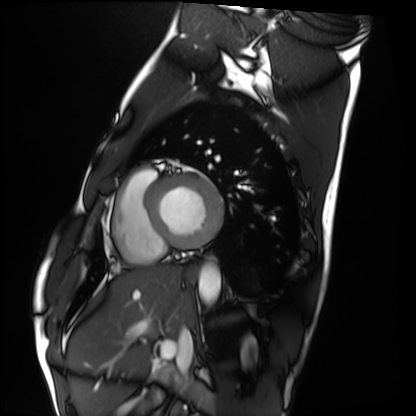
Cardiac MRI. Subject group: healthy volunteer.